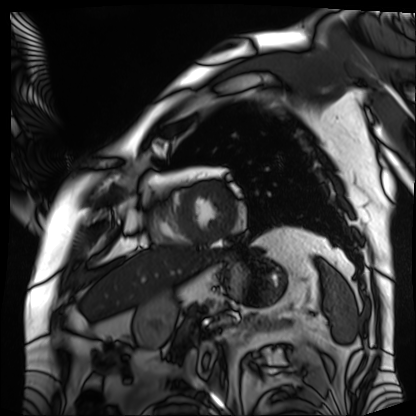
Cardiac MRI. Subject group: patient.